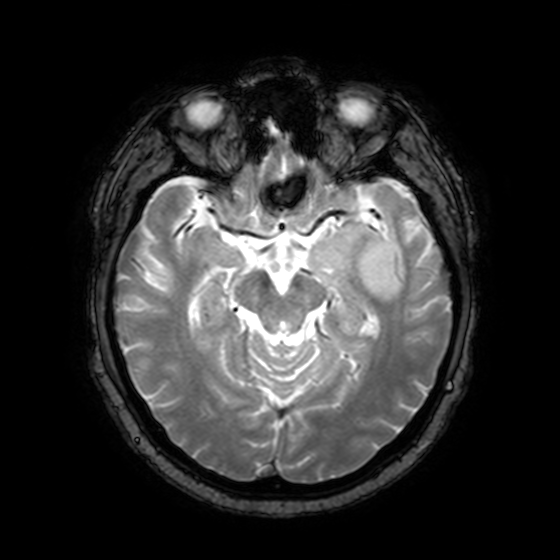
Case:
– modality — 3 Tesla brain MRI
– series — T2-weighted fast field echo with SENSE
– study — ring-enhancing brain masses